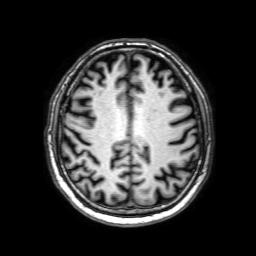
3 Tesla brain MRI.
Series: 3D T1-weighted with SENSE.
Study: ring-enhancing brain masses.